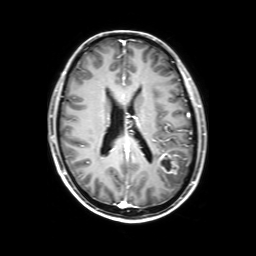
{"modality": {"type": "brain MRI", "field_strength": "3T"}, "series": "3D T1-weighted with SENSE", "study_topic": "ring-enhancing brain masses"}